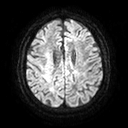
3 Tesla brain MRI. Series: diffusion tensor imaging (medium iso). Study: ring-enhancing brain masses.